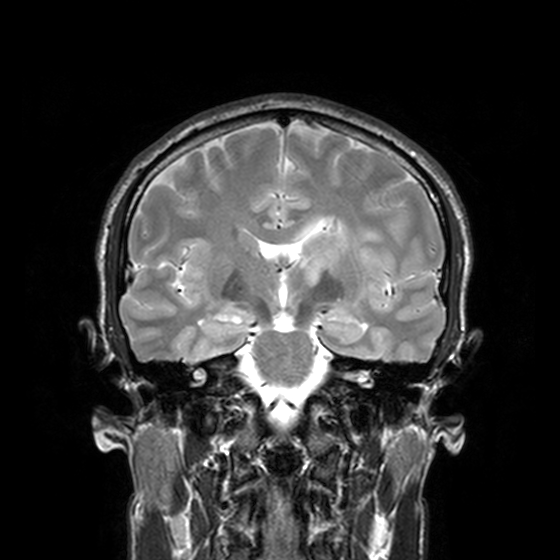
3 Tesla brain MRI. Series: T2-weighted turbo spin echo, 3 mm. Study: ring-enhancing brain masses.